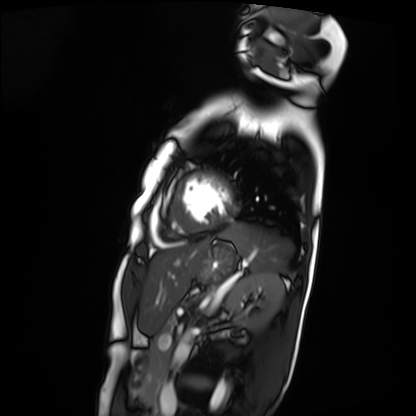
| field | value |
|---|---|
| modality | cardiac MRI |
| subject group | patient |